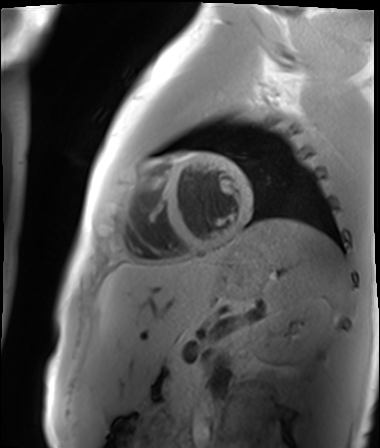
Case:
- modality — cardiac MR image of the myocardium
- subject cohort — healthy volunteer